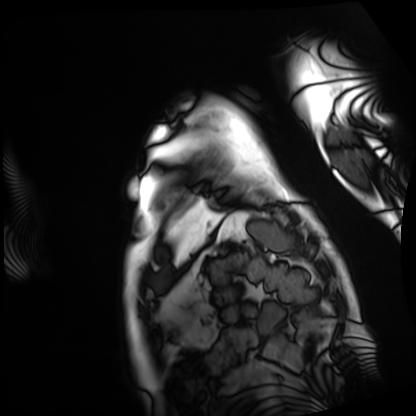
modality: cardiac MRI; subject group: patient.